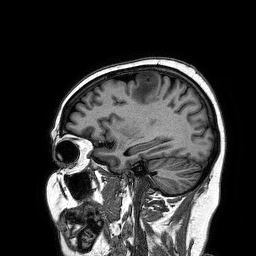
Case summary: 3 Tesla brain MRI. Series: 3D T1-weighted turbo field echo. Study: ring-enhancing brain masses.